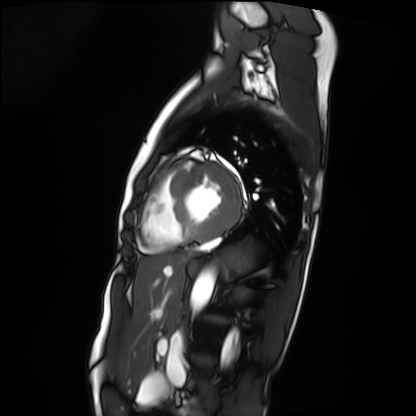
Q: What kind of scan is this?
A: Cardiac MRI.
Subject group: patient.